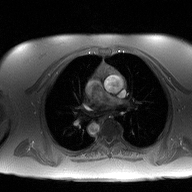
Case summary:
2D phase-contrast cine MRI of the ascending aorta, high-resolution GRAPPA acquisition.